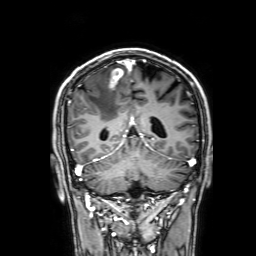
Summary:
3 Tesla brain MRI. Series: 3D T1-weighted with SENSE. Study: ring-enhancing brain masses.